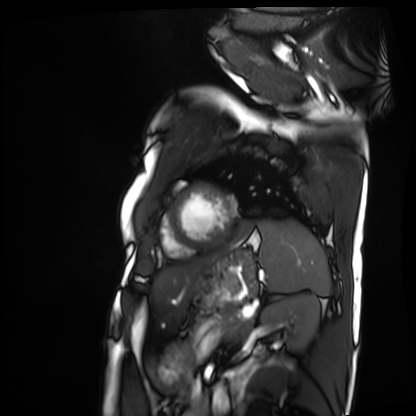
Case summary: Cardiac MRI. Subject group: patient.